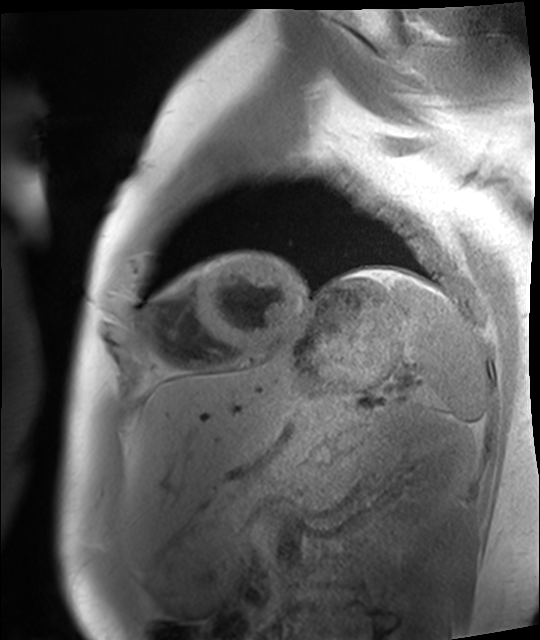
modality: cardiac MRI
cohort: healthy volunteer